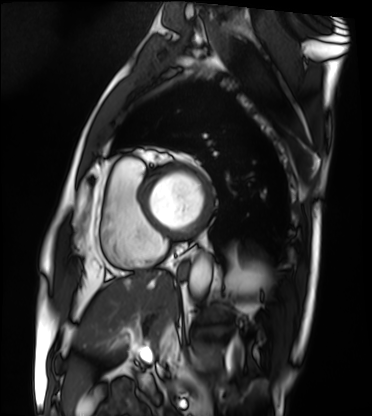
modality: cardiac MRI | subject group: patient.